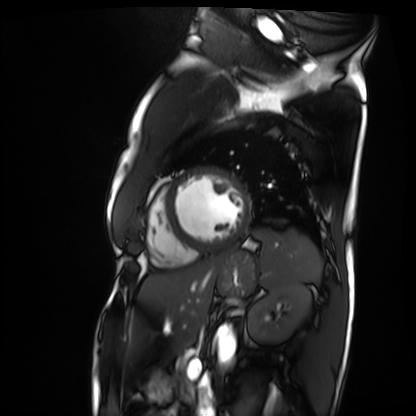
Cardiac MRI. Subject group: patient.